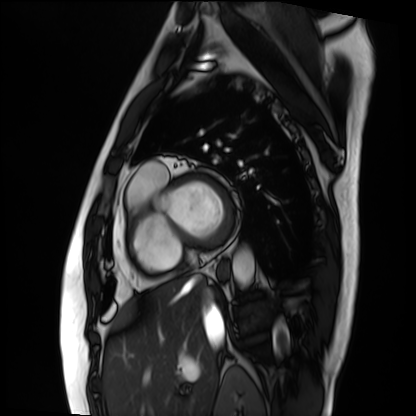
Summary:
Cardiac MRI. Subject group: patient.